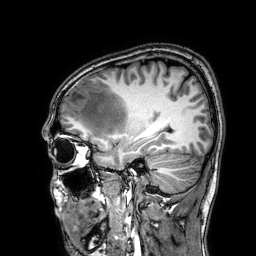
Q: What kind of scan is this?
A: 3 Tesla brain MRI.
Q: Series?
A: 3D T1-weighted.
Study: ring-enhancing brain masses.